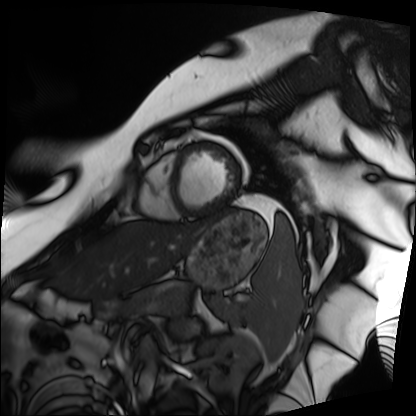
Summary: Cardiac MRI. Subject group: patient.